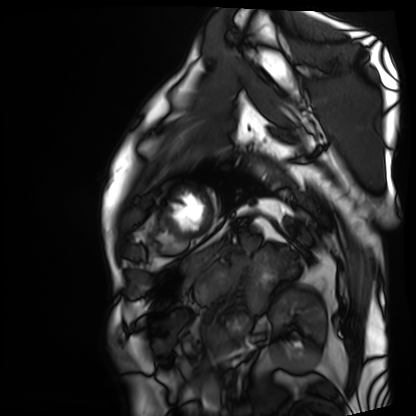
Cardiac MRI. Subject group: patient.